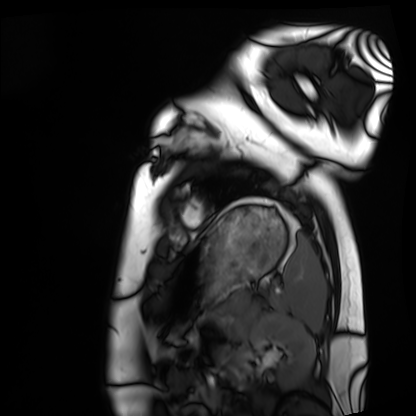
{"modality": "cardiac MRI", "cohort": "healthy volunteer"}